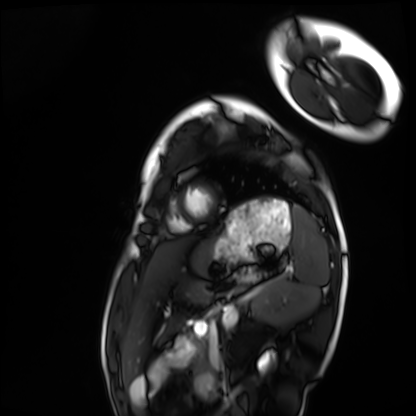
Cardiac MRI.
Subject group: healthy volunteer.